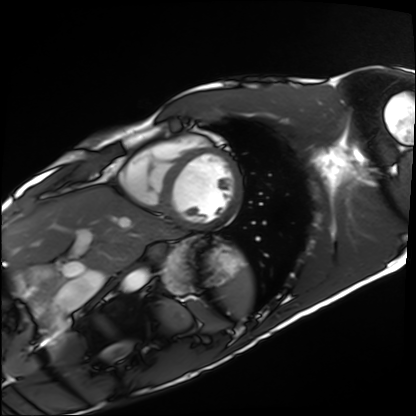
Cardiac MRI.
Subject group: healthy volunteer.